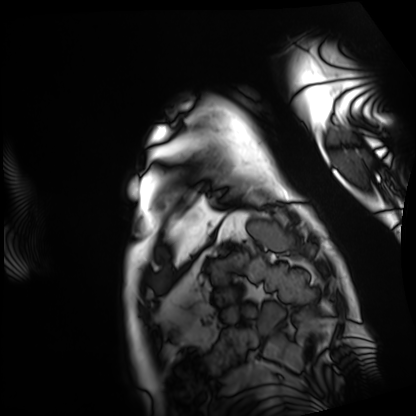
modality: cardiac MRI; subject group: patient.